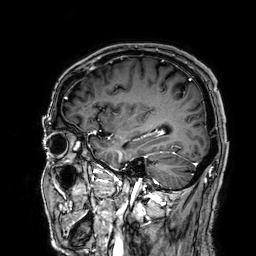
Q: What kind of scan is this?
A: 3 Tesla brain MRI.
Q: Series?
A: 3D T1-weighted.
Study: ring-enhancing brain masses.